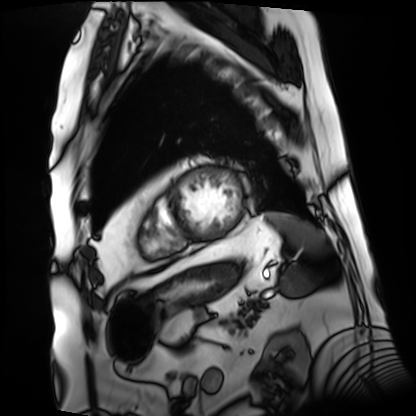
Clinical context:
Cardiac MRI. Subject group: patient.